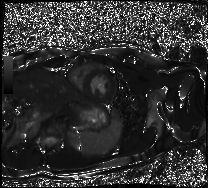
modality = cardiac MRI, subject group = healthy volunteer.